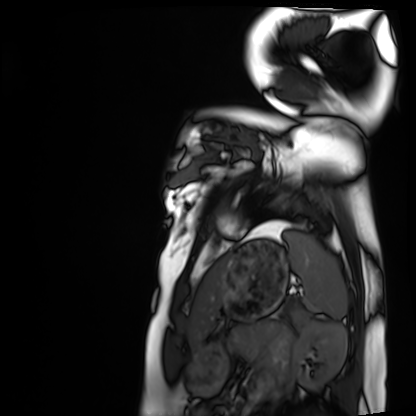
Case:
- modality — cardiac MRI
- subject group — healthy volunteer